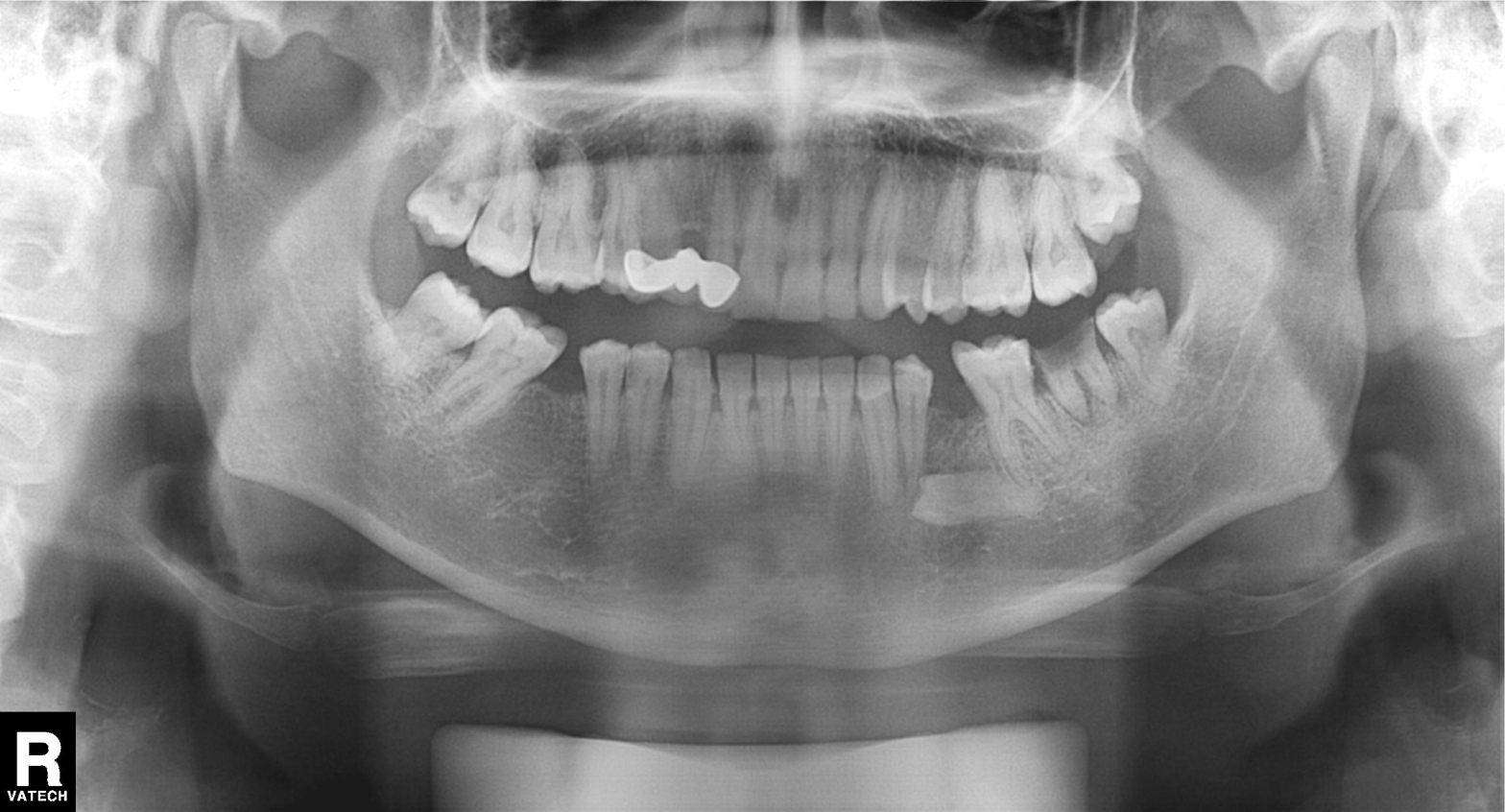
Panoramic dental radiograph (orthopantomogram).
Finding: dental caries (cavities).